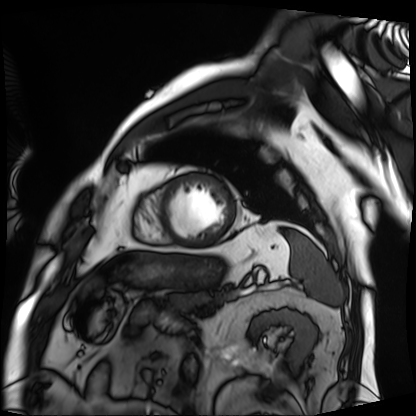
Cardiac MRI. Subject group: patient.